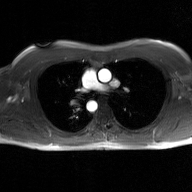
Clinical context:
2D phase-contrast cine MRI of the ascending aorta, GAN super-resolution reconstruction.